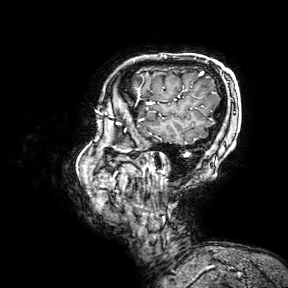
3 Tesla brain MRI.
Series: 3D T1-weighted turbo field echo with SENSE.
Study: ring-enhancing brain masses.